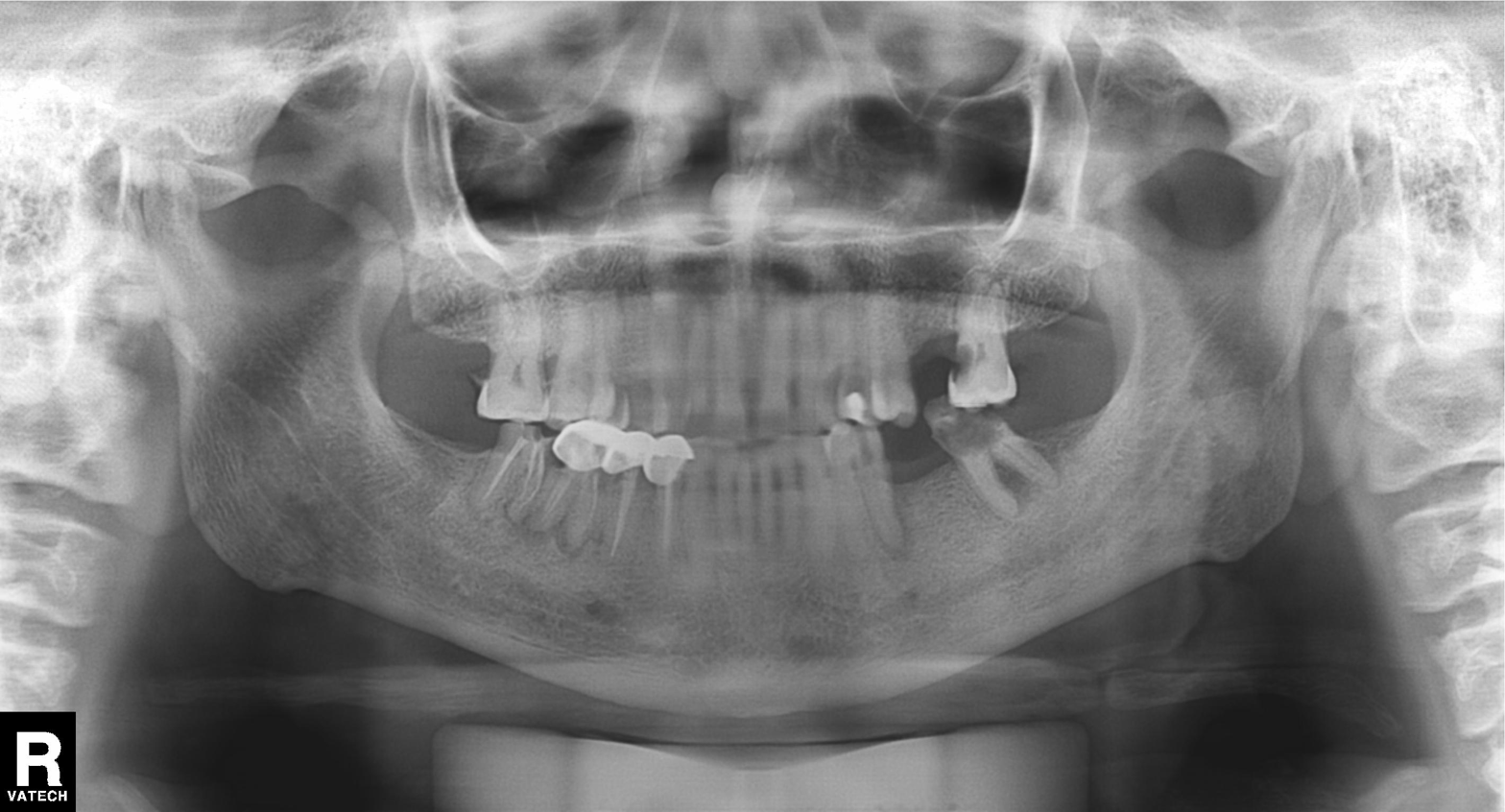
Q: What kind of scan is this?
A: Panoramic dental radiograph (orthopantomogram).
Q: What is the radiographic finding?
A: Dental caries (cavities).